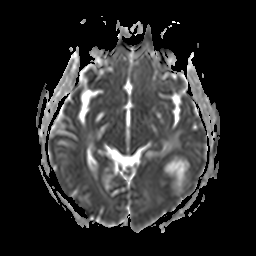
Summary: 3 Tesla brain MRI. Series: apparent diffusion coefficient (ADC) map. Study: ring-enhancing brain masses.